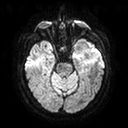
modality=3 Tesla brain MRI | series=diffusion tensor imaging (medium iso) | study=ring-enhancing brain masses.